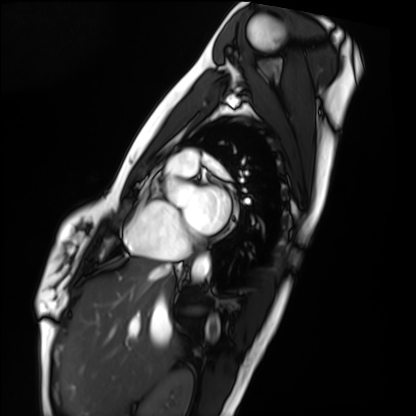
Cardiac MRI. Subject group: healthy volunteer.